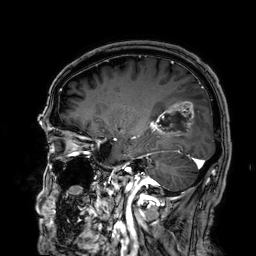
Case:
* modality: 3 Tesla brain MRI
* series: 3D T1-weighted
* study: ring-enhancing brain masses